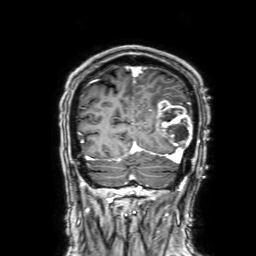
Case summary: 3 Tesla brain MRI. Series: 3D T1-weighted with SENSE. Study: ring-enhancing brain masses.